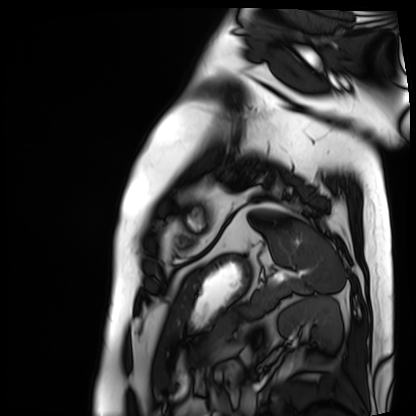
Q: What kind of scan is this?
A: Cardiac MRI.
Subject group: patient.